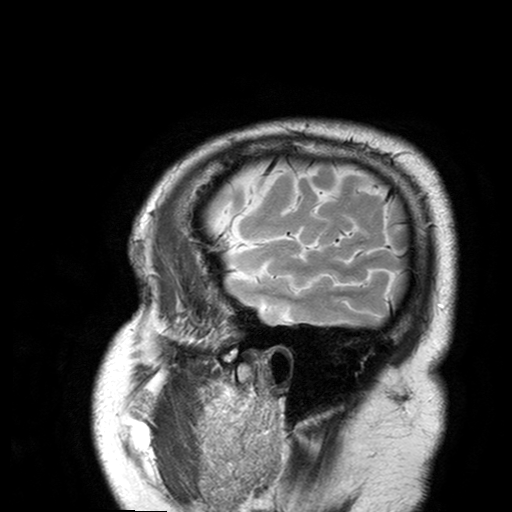
  modality:
    type: brain MRI
    field_strength: 3T
  series: T2-weighted turbo spin echo with SENSE
  study_topic: ring-enhancing brain masses